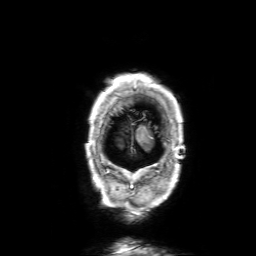
3 Tesla brain MRI. Series: 3D T1-weighted with SENSE. Study: ring-enhancing brain masses.